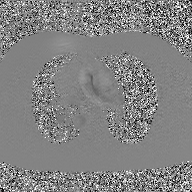
Case:
* modality — 2D phase-contrast cine MRI of the ascending aorta, GAN super-resolution reconstruction